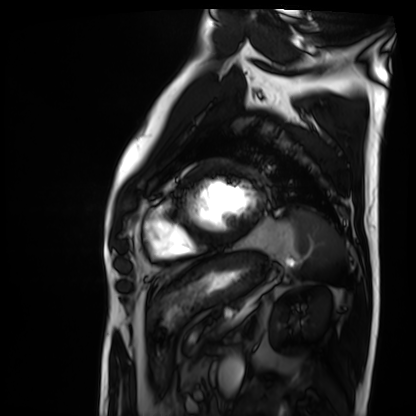
Q: What kind of scan is this?
A: Cardiac MRI.
Subject group: patient.